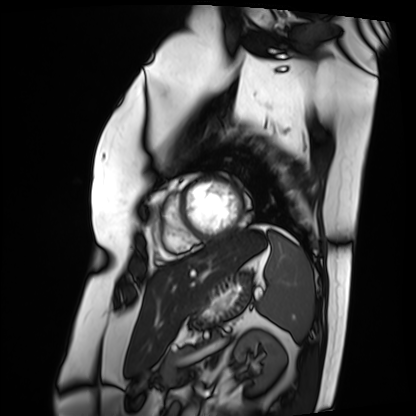
Summary:
Cardiac MRI. Subject group: patient.